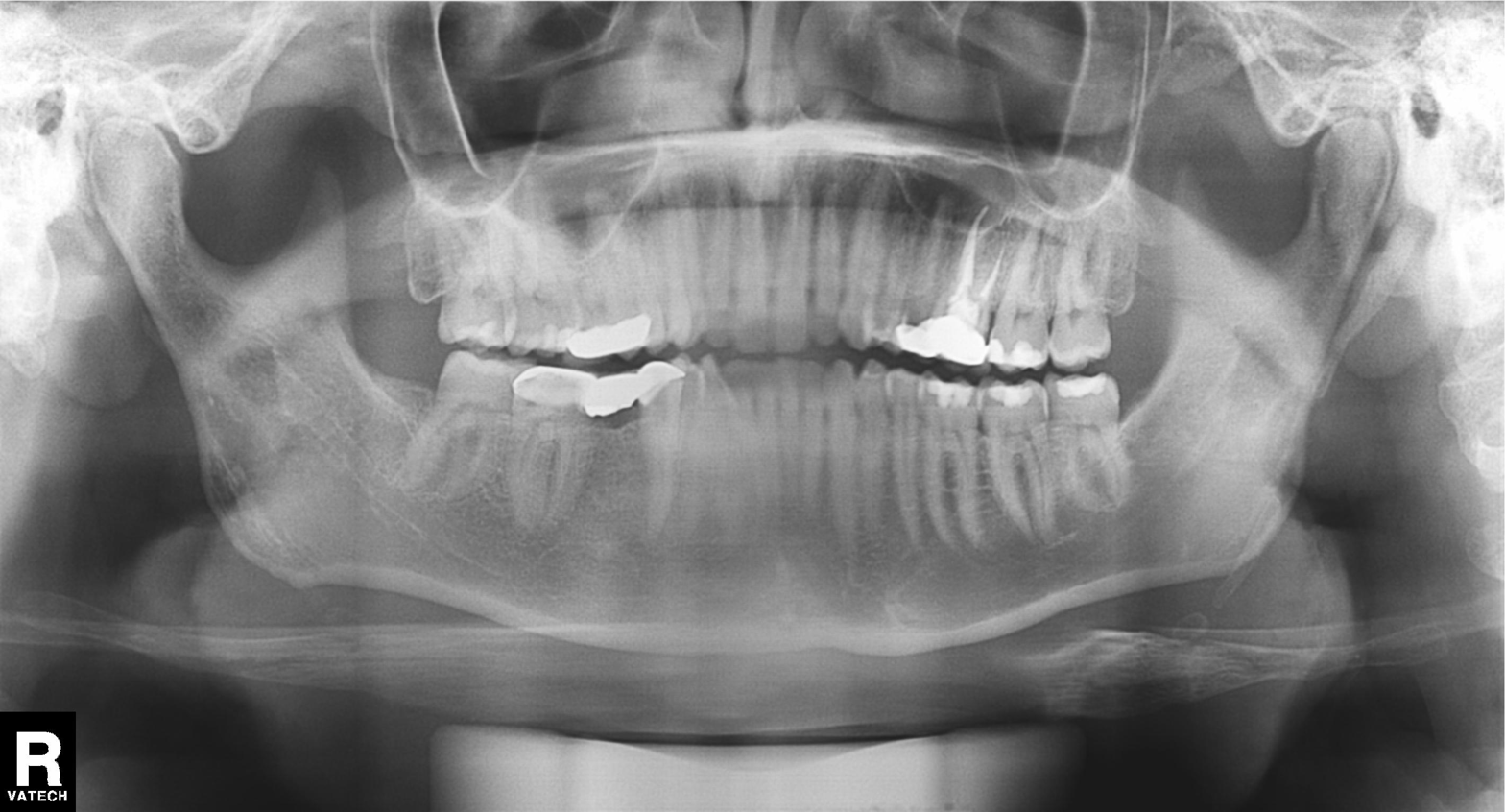
Findings:
– modality — panoramic dental radiograph (orthopantomogram)
– finding — dental caries (cavities)